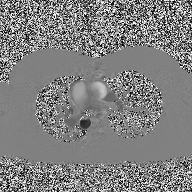
| field | value |
|---|---|
| modality | 2D phase-contrast cine MRI of the ascending aorta |